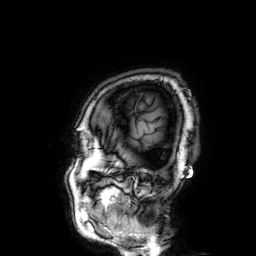
modality = 3 Tesla brain MRI
series = 3D T1-weighted
study = ring-enhancing brain masses